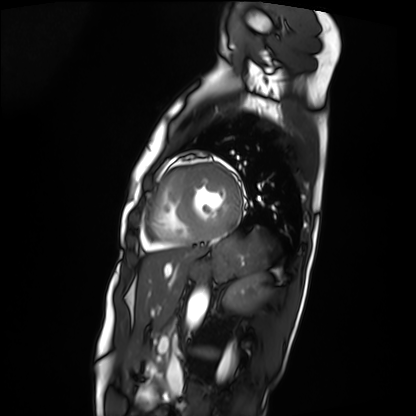
Summary: Cardiac MRI. Subject group: patient.